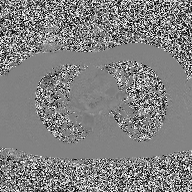
{
  "modality": {
    "type": "2D phase-contrast cine MRI",
    "region": "ascending aorta",
    "reconstruction": "high-resolution GRAPPA acquisition"
  }
}